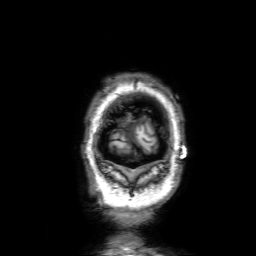
3 Tesla brain MRI. Series: 3D T1-weighted with SENSE. Study: ring-enhancing brain masses.